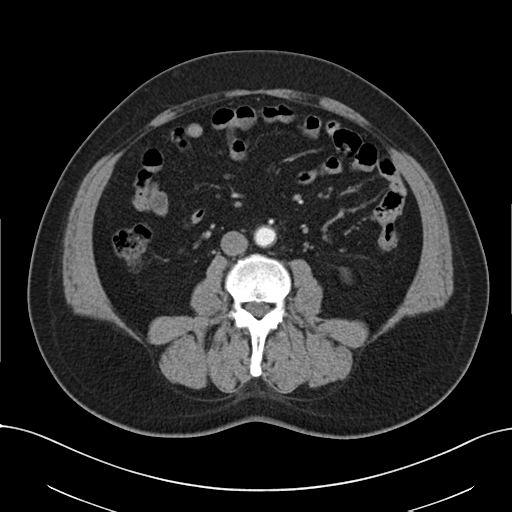
Multiphase abdominal CT, liver, arterial phase. Patient: male, age 54. History: viral hepatitis.